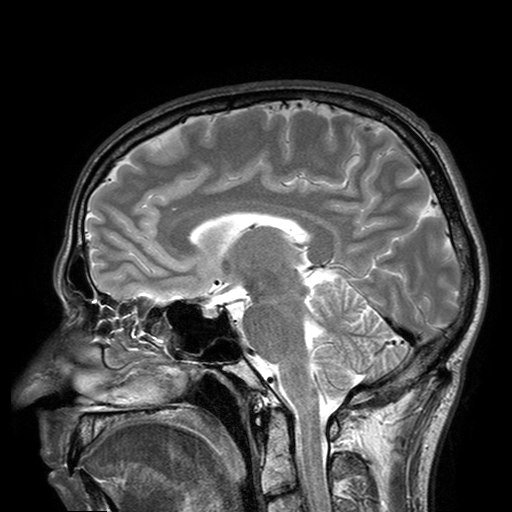
3 Tesla brain MRI. Series: T2-weighted turbo spin echo with SENSE. Study: ring-enhancing brain masses.